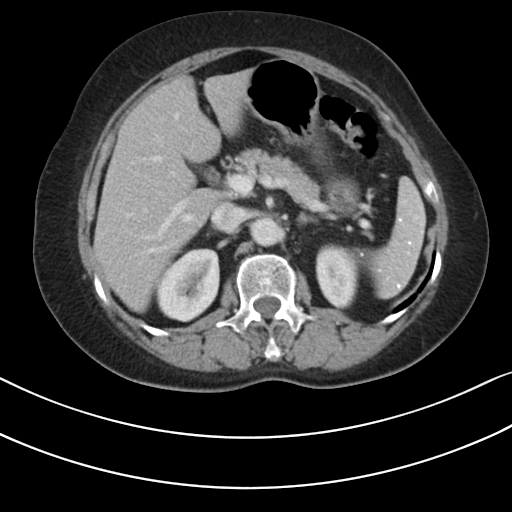
Multiphase abdominal CT, liver, portal venous phase. Patient: female, age 68. History: prior chemotherapy.